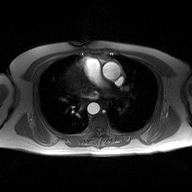
modality — 2D phase-contrast cine MRI of the ascending aorta.